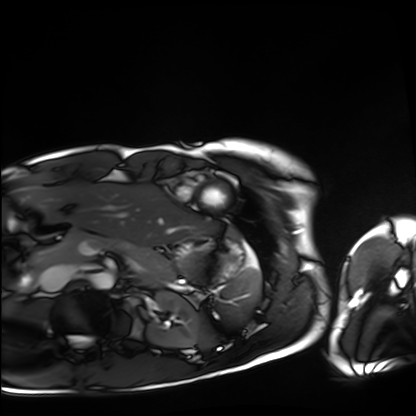
Cardiac MRI.
Subject group: healthy volunteer.